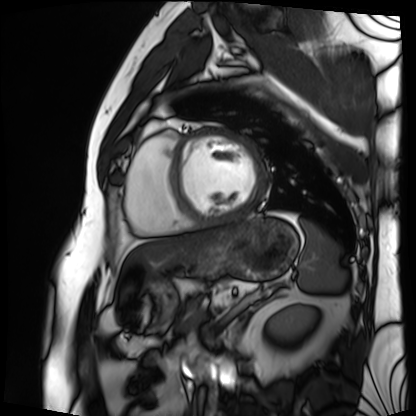
Q: What kind of scan is this?
A: Cardiac MRI.
Subject group: patient.